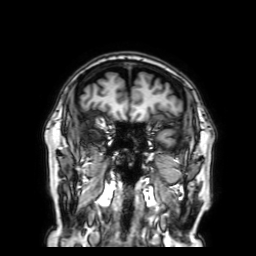
Summary:
3 Tesla brain MRI. Series: 3D T1-weighted with SENSE. Study: ring-enhancing brain masses.